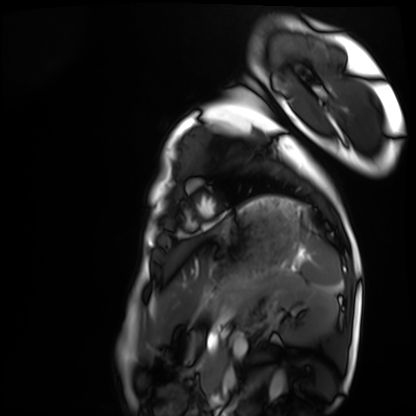
modality: cardiac MRI | subject group: healthy volunteer.